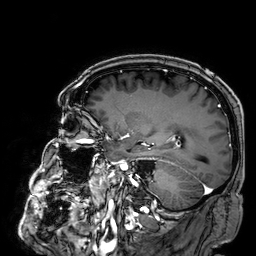
3 Tesla brain MRI. Series: 3D T1-weighted. Study: ring-enhancing brain masses.